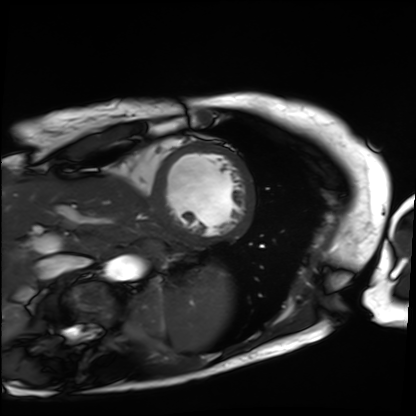
modality: cardiac MRI; subject group: patient.